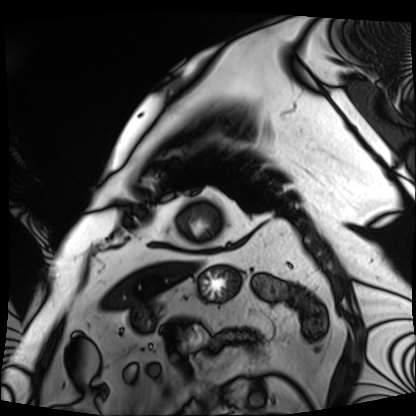
– modality — cardiac MRI
– subject group — patient